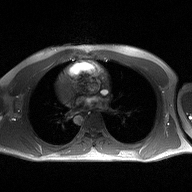
modality: 2D phase-contrast cine MRI of the ascending aorta.